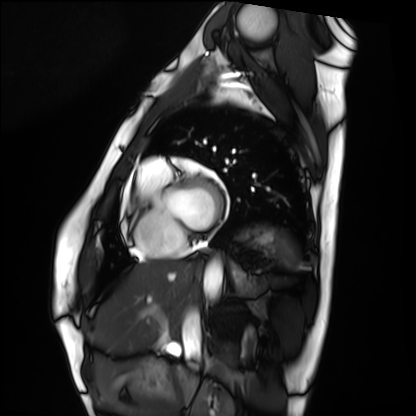
Cardiac MRI. Subject group: healthy volunteer.